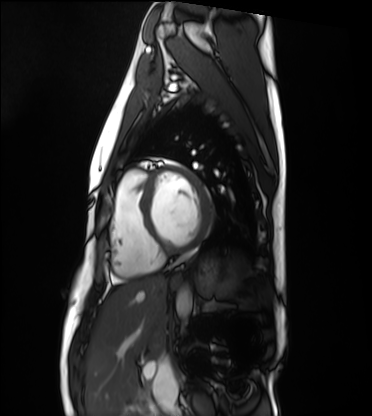
Cardiac MRI.
Subject group: healthy volunteer.